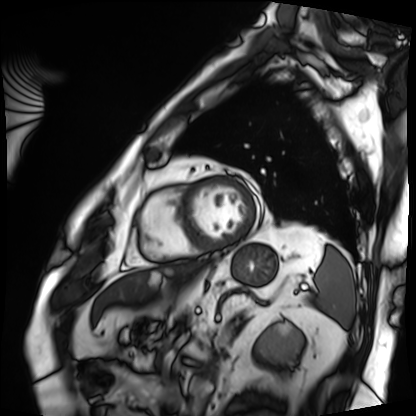
Cardiac MRI.
Subject group: patient.